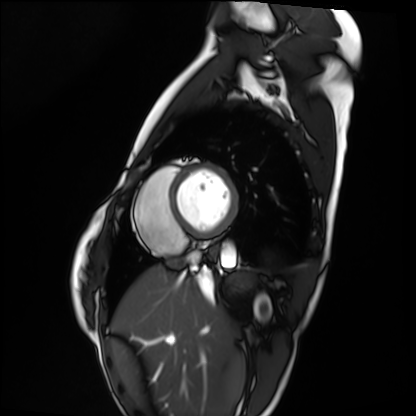
modality: cardiac MRI
subject group: healthy volunteer